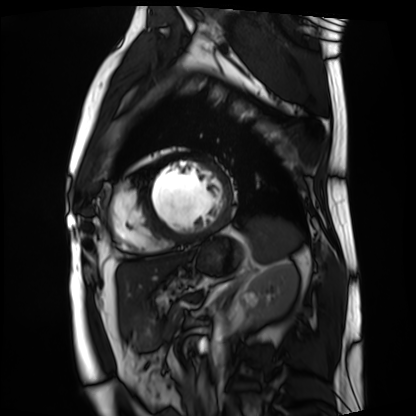
Q: What kind of scan is this?
A: Cardiac MRI.
Subject group: patient.